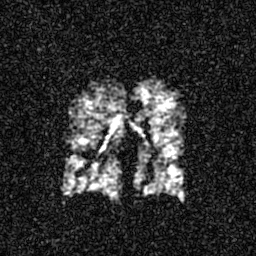
modality=hyperpolarized 129Xe ventilation MRI of the lungs
SNR level=4 of 8 (the deposit holds this scan as its native image and as seven SNR-degraded versions)